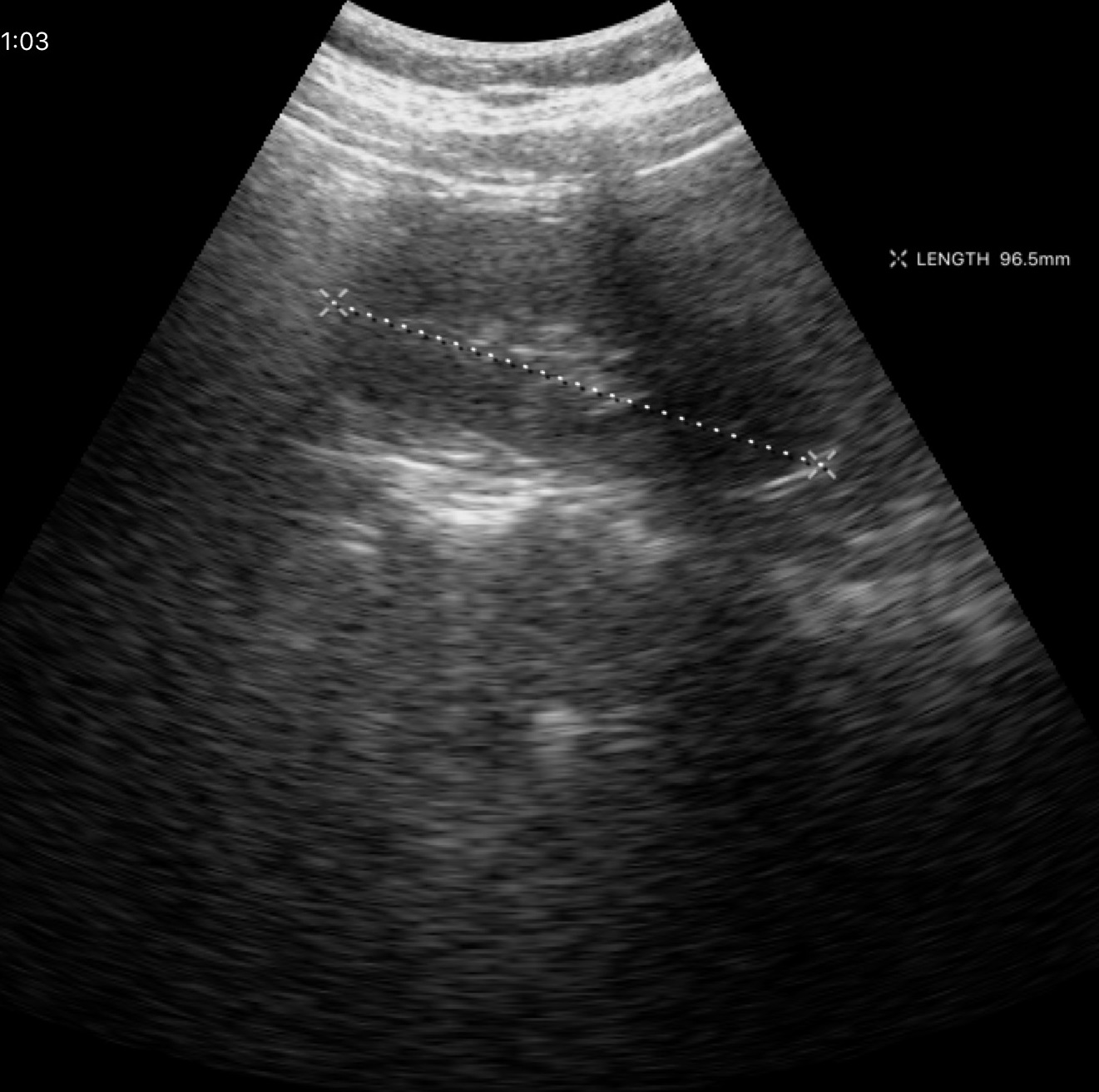
modality = genitourinary ultrasound.